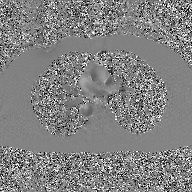
Summary: 2D phase-contrast cine MRI of the ascending aorta, GAN super-resolution reconstruction.